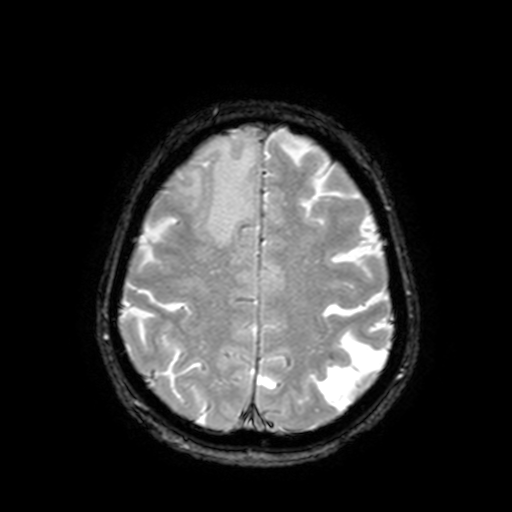
<study>
<modality>
  <type>brain MRI</type>
  <field_strength>3T</field_strength>
</modality>
<series>T2-weighted fast field echo with SENSE</series>
<study_topic>ring-enhancing brain masses</study_topic>
</study>